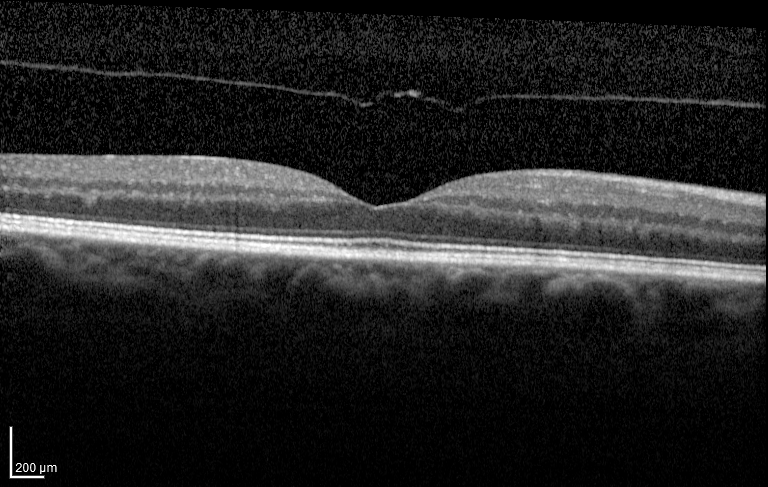
Spectral-domain optical coherence tomography (SD-OCT) of the macula.
Subject: female, age 70, right eye.
Cohort: diabetic subject.